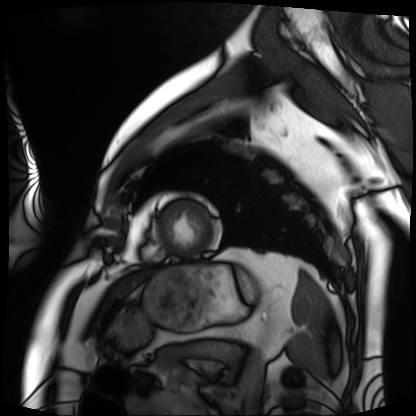
Summary: Cardiac MRI. Subject group: patient.